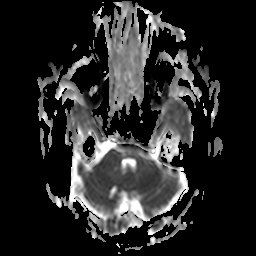
modality = 3 Tesla brain MRI
series = apparent diffusion coefficient (ADC) map
study = ring-enhancing brain masses